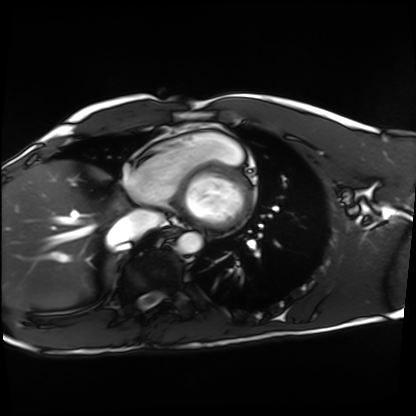
Cardiac MRI. Subject group: healthy volunteer.